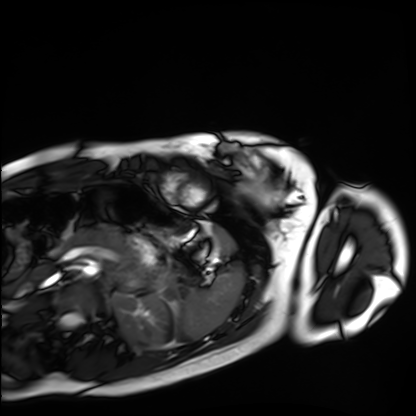
Q: What kind of scan is this?
A: Cardiac MRI.
Subject group: healthy volunteer.